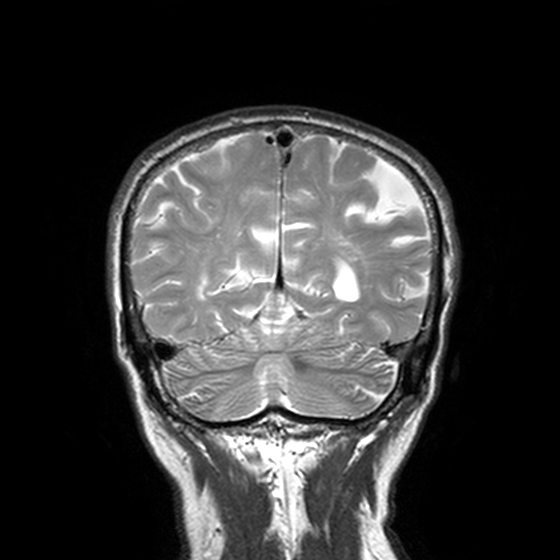
modality: 3 Tesla brain MRI
series: T2-weighted turbo spin echo, 3 mm
study: ring-enhancing brain masses